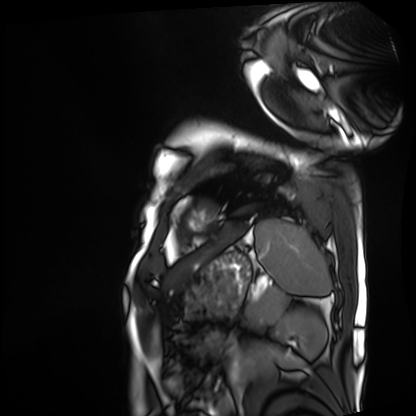
Cardiac MRI. Subject group: patient.